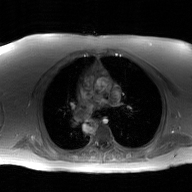
2D phase-contrast cine MRI of the ascending aorta, GAN super-resolution reconstruction.